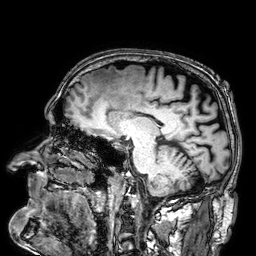
modality = 3 Tesla brain MRI
series = 3D T1-weighted
study = ring-enhancing brain masses